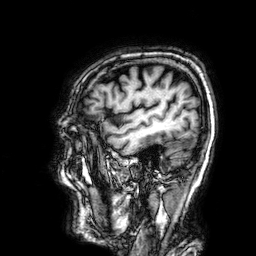
modality: 3 Tesla brain MRI; study: ring-enhancing brain masses.